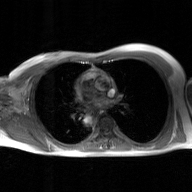
2D phase-contrast cine MRI of the ascending aorta, GAN super-resolution reconstruction.